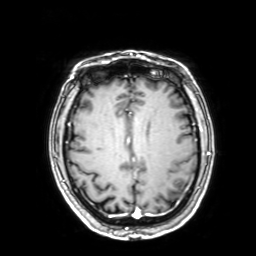
<case>
<modality>
  <type>brain MRI</type>
  <field_strength>3T</field_strength>
</modality>
<series>3D T1-weighted with SENSE</series>
<study_topic>ring-enhancing brain masses</study_topic>
</case>